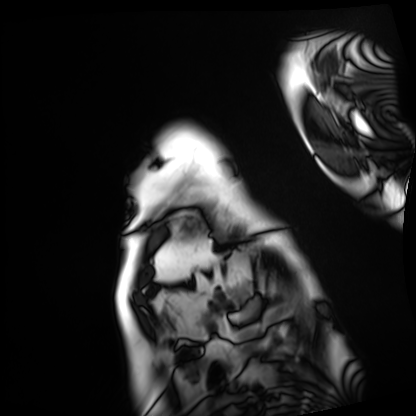
• modality · cardiac MRI
• subject group · patient